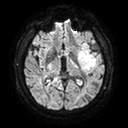
| field | value |
|---|---|
| modality | 3 Tesla brain MRI |
| series | diffusion tensor imaging (medium iso) |
| study | ring-enhancing brain masses |